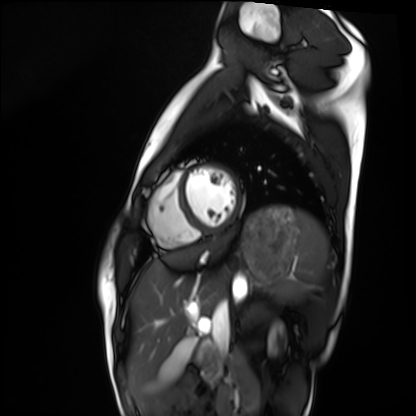
Q: What kind of scan is this?
A: Cardiac MRI.
Subject group: healthy volunteer.